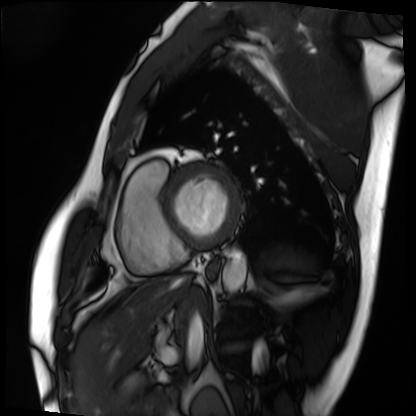
Cardiac MRI.
Subject group: patient.